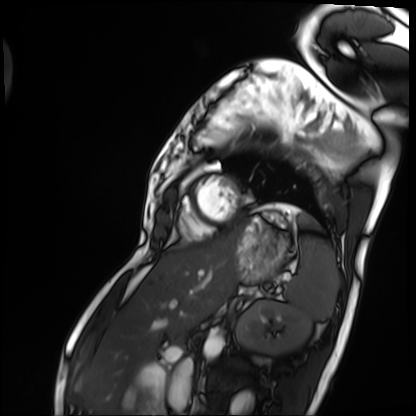
Q: What kind of scan is this?
A: Cardiac MRI.
Subject group: patient.